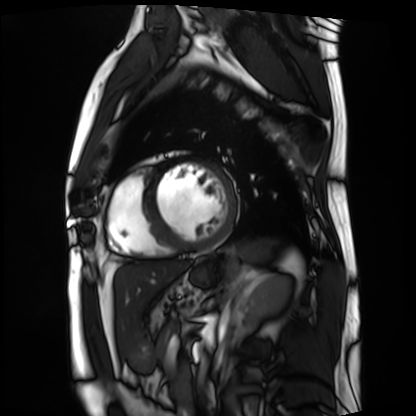
Case summary: Cardiac MRI. Subject group: patient.